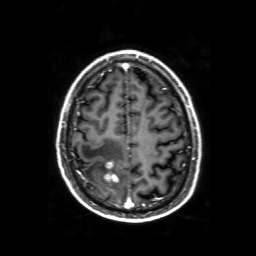
3 Tesla brain MRI. Series: 3D T1-weighted with SENSE. Study: ring-enhancing brain masses.